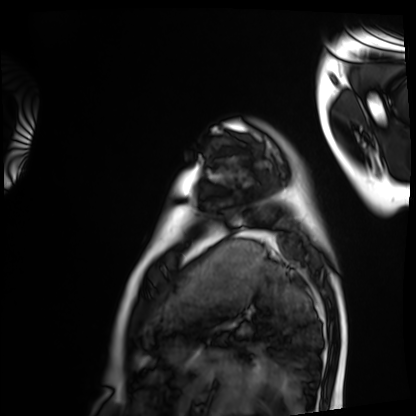
Cardiac MRI. Subject group: healthy volunteer.